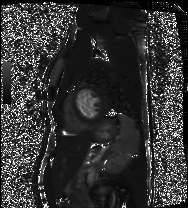
modality: cardiac MRI
cohort: healthy volunteer